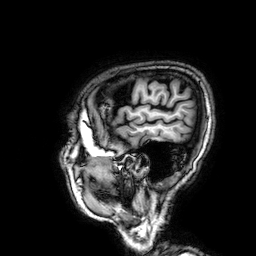
Summary:
3 Tesla brain MRI. Series: 3D T1-weighted. Study: ring-enhancing brain masses.